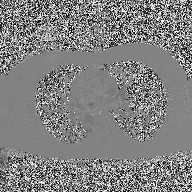
Summary:
2D phase-contrast cine MRI of the ascending aorta, high-resolution GRAPPA acquisition.